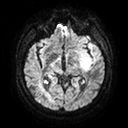
<case>
  <modality>
    <type>brain MRI</type>
    <field_strength>3T</field_strength>
  </modality>
  <series>diffusion tensor imaging (medium iso)</series>
  <study_topic>ring-enhancing brain masses</study_topic>
</case>